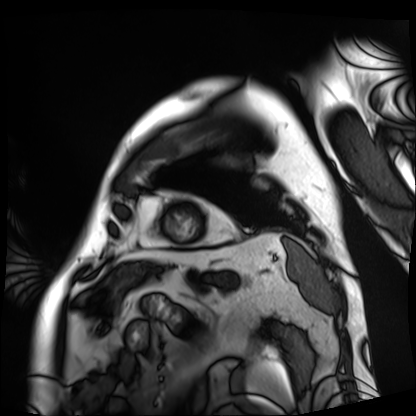
Q: What kind of scan is this?
A: Cardiac MRI.
Subject group: patient.